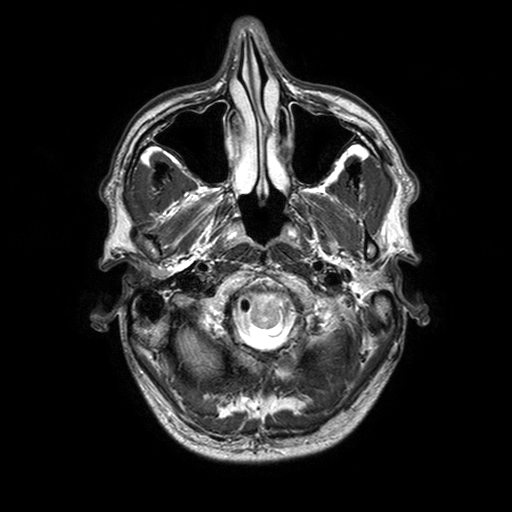
modality — 3 Tesla brain MRI
series — T2-weighted turbo spin echo with SENSE
study — ring-enhancing brain masses